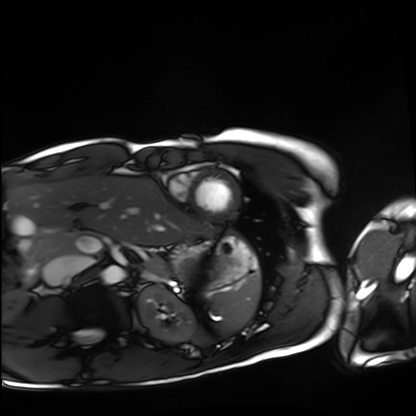
Cardiac MRI. Subject group: healthy volunteer.